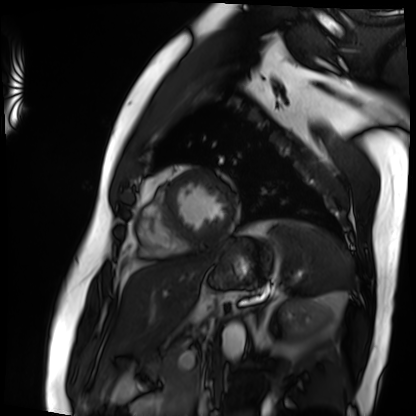
Cardiac MRI. Subject group: patient.